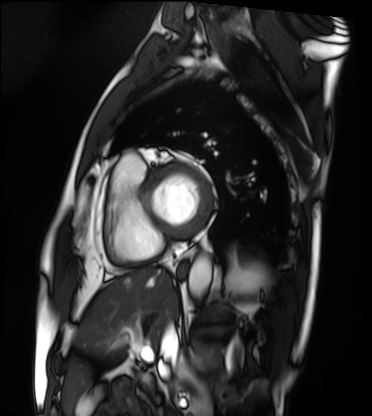
Q: What kind of scan is this?
A: Cardiac MRI.
Subject group: patient.